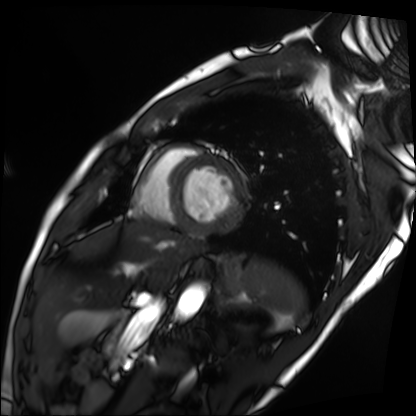
Cardiac MRI. Subject group: patient.